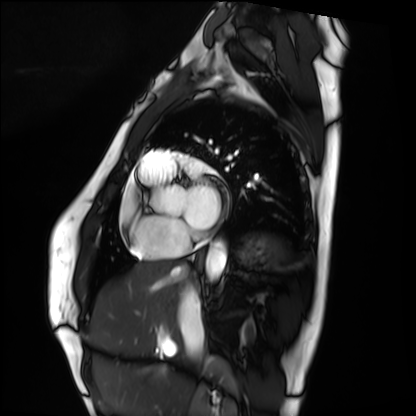
Cardiac MRI.
Subject group: healthy volunteer.